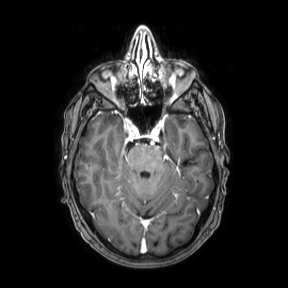
Q: What kind of scan is this?
A: 3 Tesla brain MRI.
Q: Series?
A: Axial.
Study: ring-enhancing brain masses.